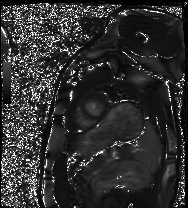
Q: What kind of scan is this?
A: Cardiac MRI.
Subject group: healthy volunteer.